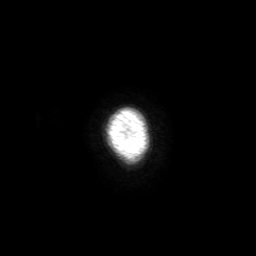
Q: What kind of scan is this?
A: 3 Tesla brain MRI.
Q: Series?
A: 3D T1-weighted with SENSE.
Study: ring-enhancing brain masses.